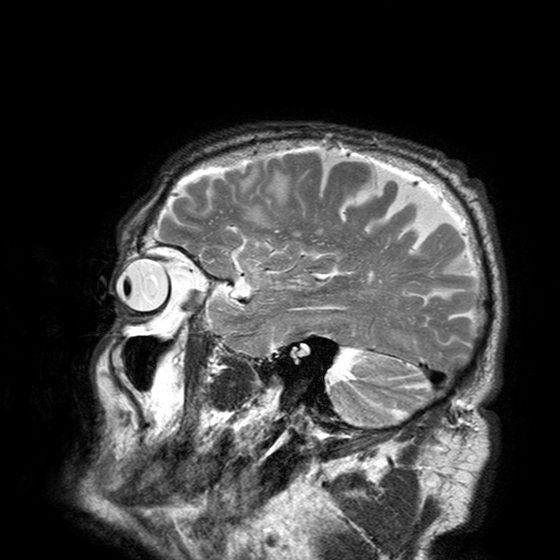
modality: 3 Tesla brain MRI; series: T2-weighted turbo spin echo with SENSE; study: ring-enhancing brain masses.